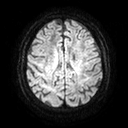
3 Tesla brain MRI. Study: ring-enhancing brain masses.